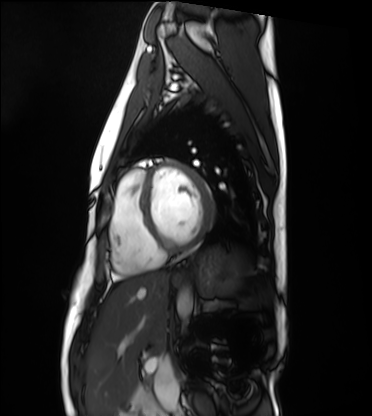
modality = cardiac MRI
subject group = healthy volunteer